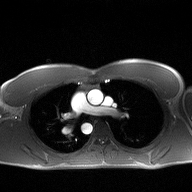
{"modality": {"type": "2D phase-contrast cine MRI", "region": "ascending aorta", "reconstruction": "high-resolution GRAPPA acquisition"}}